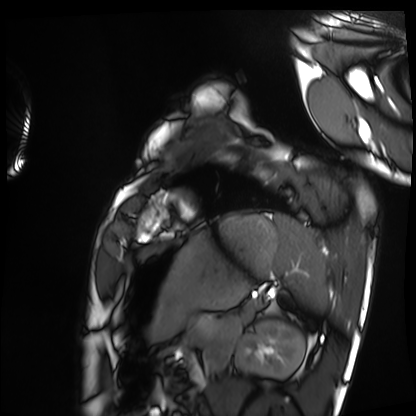
Cardiac MRI. Subject group: healthy volunteer.